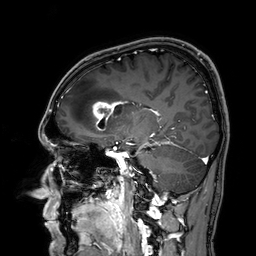
* modality · 3 Tesla brain MRI
* series · 3D T1-weighted
* study · ring-enhancing brain masses